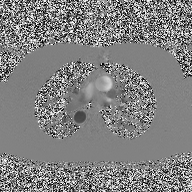
modality: 2D phase-contrast cine MRI of the ascending aorta